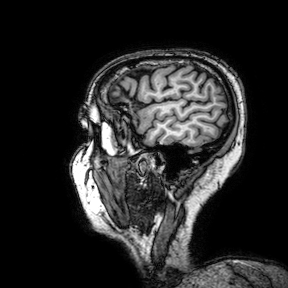
modality — 3 Tesla brain MRI
series — 3D T1-weighted turbo field echo with SENSE
study — ring-enhancing brain masses